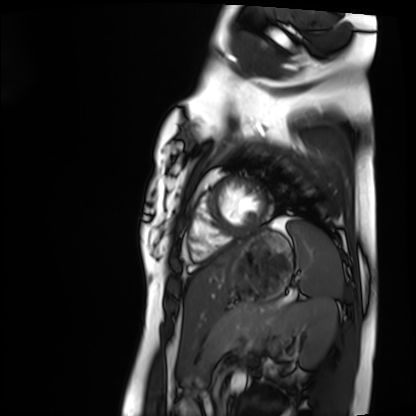
Q: What kind of scan is this?
A: Cardiac MRI.
Subject group: healthy volunteer.